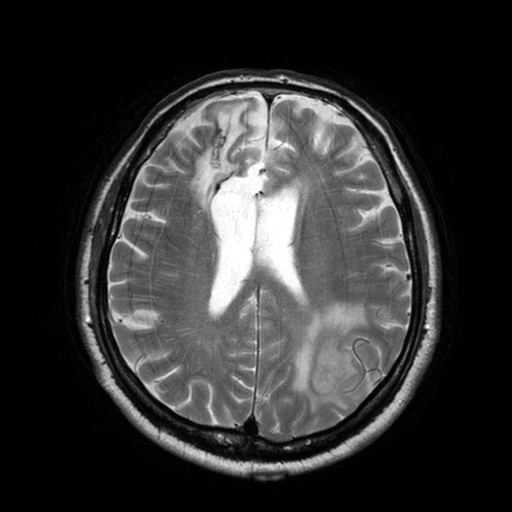
• modality — 3 Tesla brain MRI
• series — T2-weighted turbo spin echo with SENSE
• study — ring-enhancing brain masses